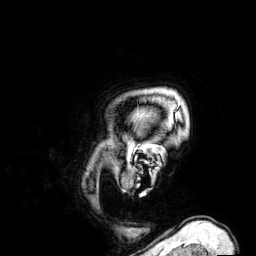
3 Tesla brain MRI.
Series: 3D T1-weighted.
Study: ring-enhancing brain masses.